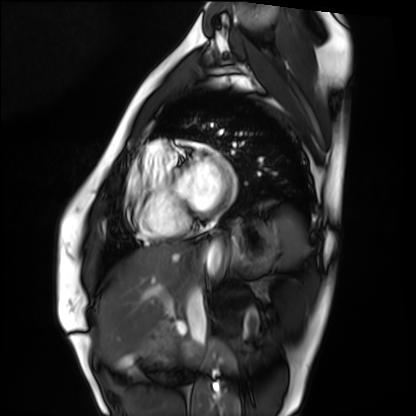
Q: What kind of scan is this?
A: Cardiac MRI.
Subject group: healthy volunteer.